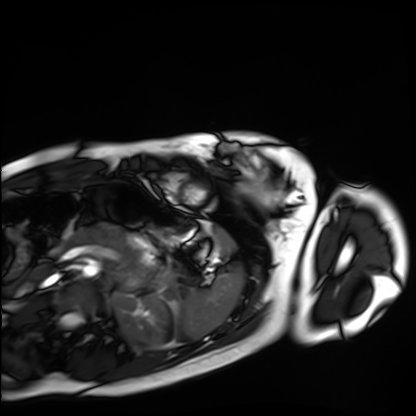
modality: cardiac MRI; subject group: healthy volunteer.